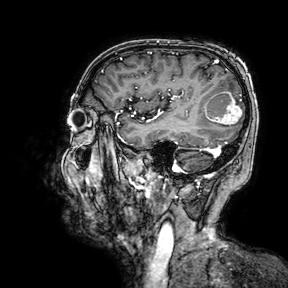
  modality:
    type: brain MRI
    field_strength: 3T
  series: 3D T1-weighted turbo field echo with SENSE
  study_topic: ring-enhancing brain masses